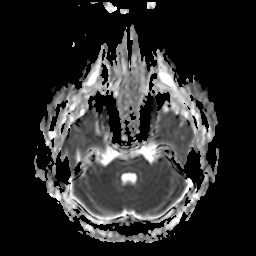
3 Tesla brain MRI. Series: apparent diffusion coefficient (ADC) map. Study: ring-enhancing brain masses.